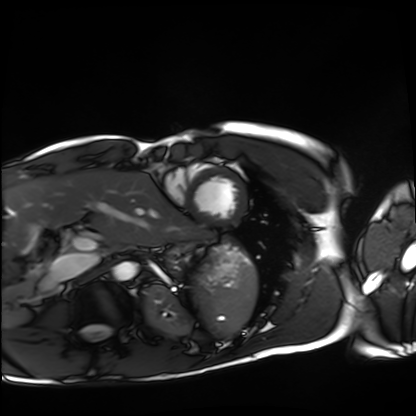
Cardiac MRI. Subject group: healthy volunteer.